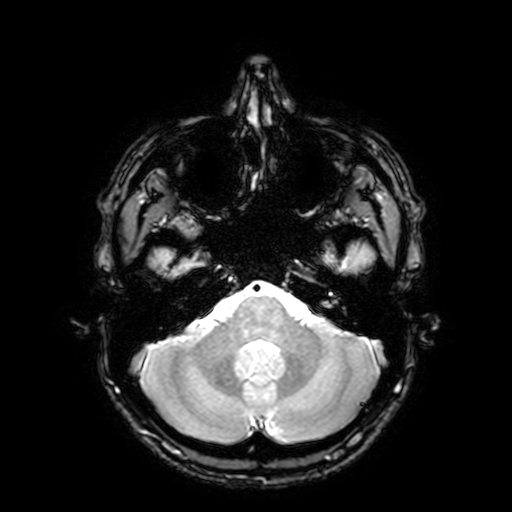
Q: What kind of scan is this?
A: 3 Tesla brain MRI.
Q: Series?
A: T2-weighted fast field echo with SENSE.
Study: ring-enhancing brain masses.